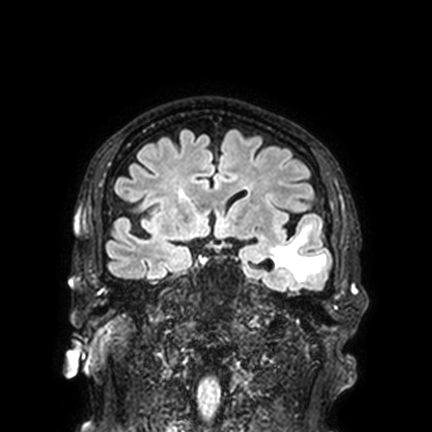
  modality:
    type: brain MRI
    field_strength: 3T
  series: FLAIR VISTA with SENSE
  study_topic: ring-enhancing brain masses